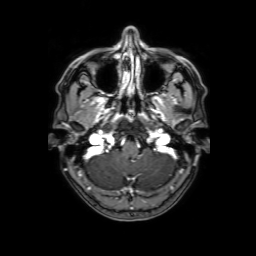
modality=3 Tesla brain MRI
series=3D T1-weighted with SENSE
study=ring-enhancing brain masses